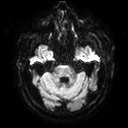
modality: 3 Tesla brain MRI | series: diffusion tensor imaging (medium iso) | study: ring-enhancing brain masses.